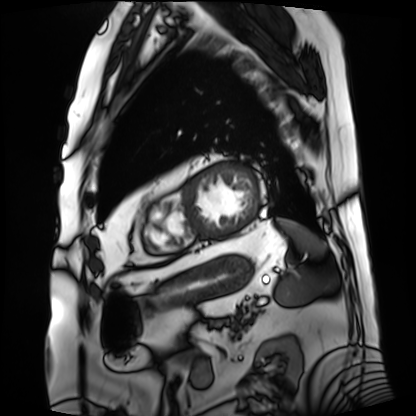
modality: cardiac MRI | subject group: patient.